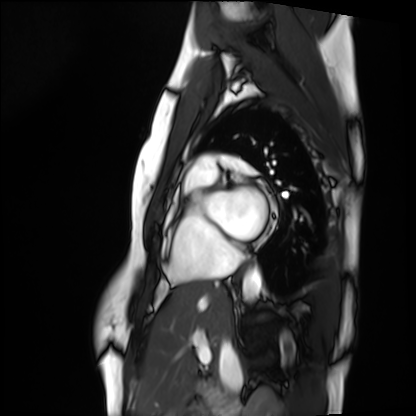
{"modality": "cardiac MRI", "cohort": "healthy volunteer"}